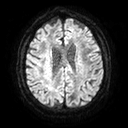
modality: 3 Tesla brain MRI; series: diffusion tensor imaging (medium iso); study: ring-enhancing brain masses.